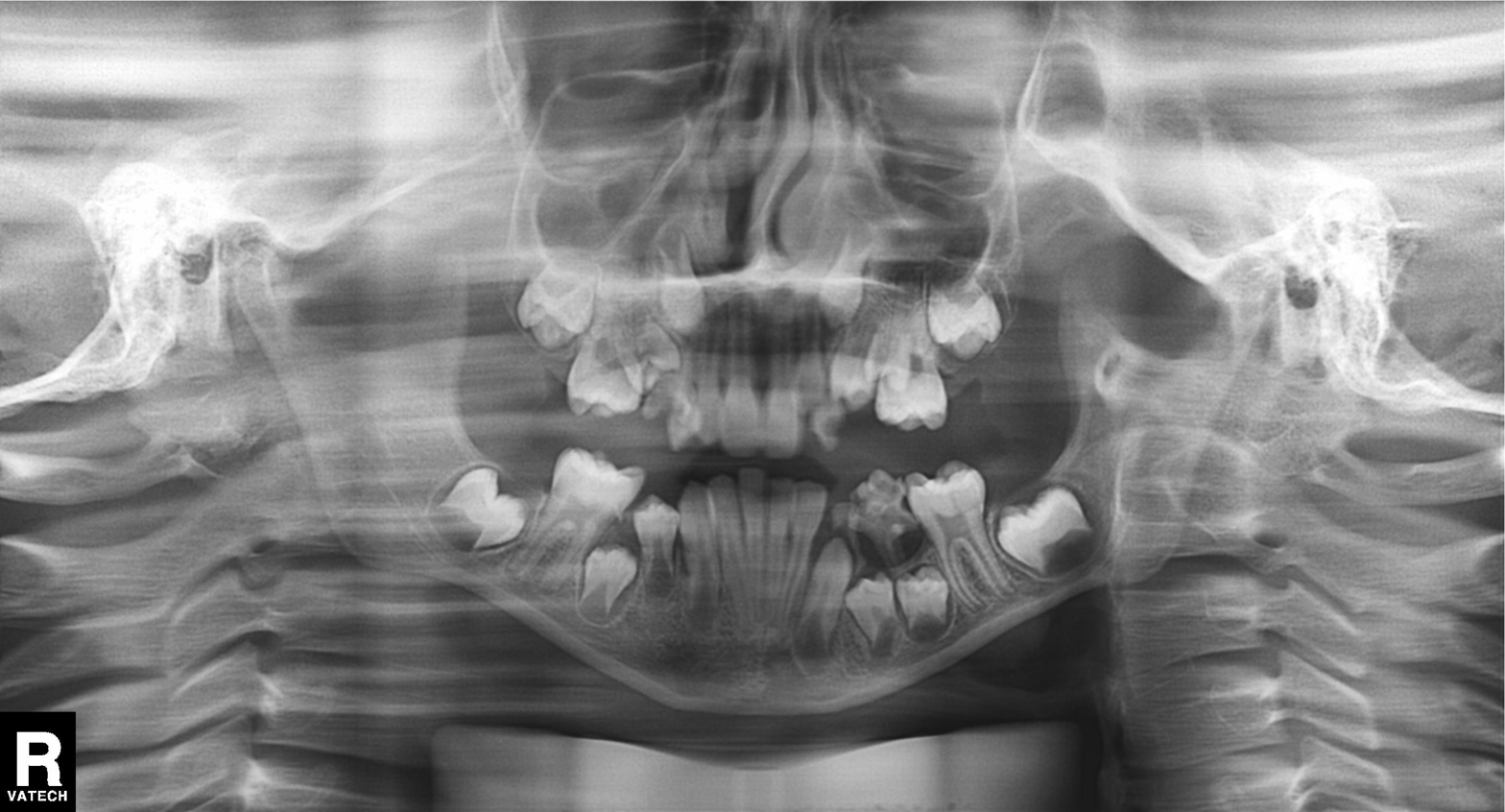
Q: What kind of scan is this?
A: Panoramic dental radiograph (orthopantomogram).
Q: What is the radiographic finding?
A: Alveolar bone loss.